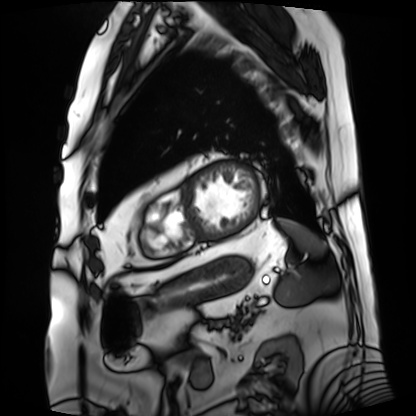
  modality: cardiac MRI
  cohort: patient